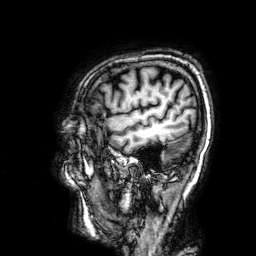
{"modality": {"type": "brain MRI", "field_strength": "3T"}, "series": "3D T1-weighted", "study_topic": "ring-enhancing brain masses"}